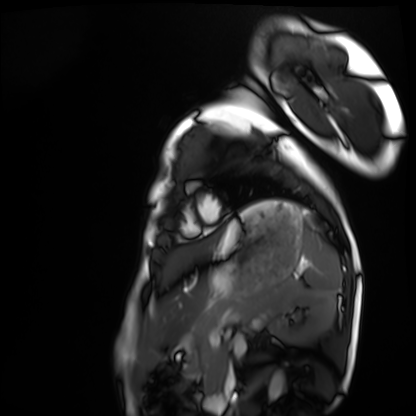
Cardiac MRI. Subject group: healthy volunteer.